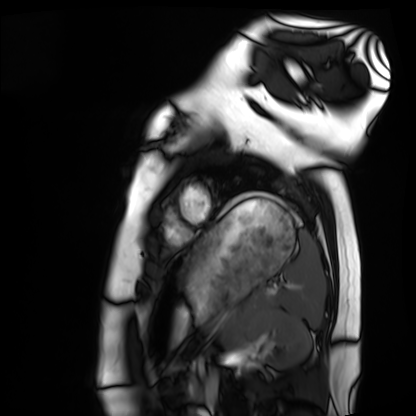
Case:
• modality: cardiac MRI
• subject group: healthy volunteer